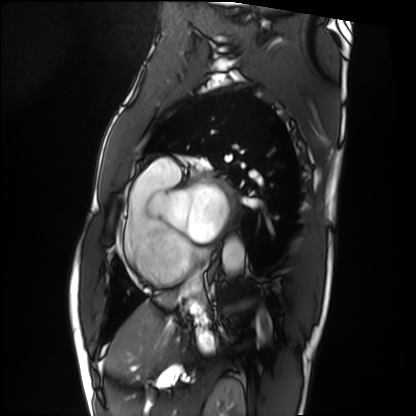
Cardiac MRI.
Subject group: patient.